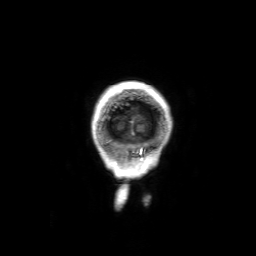
3 Tesla brain MRI. Series: 3D T1-weighted with SENSE. Study: ring-enhancing brain masses.